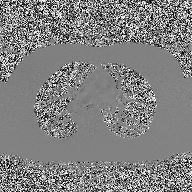
• modality · 2D phase-contrast cine MRI of the ascending aorta